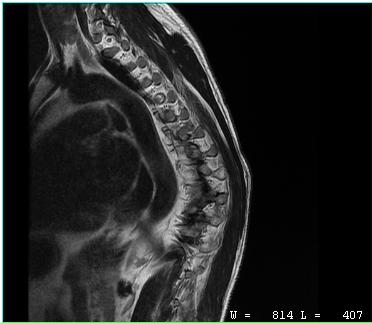
MRI of the cervical spine.
Study: cervical spondylosis.